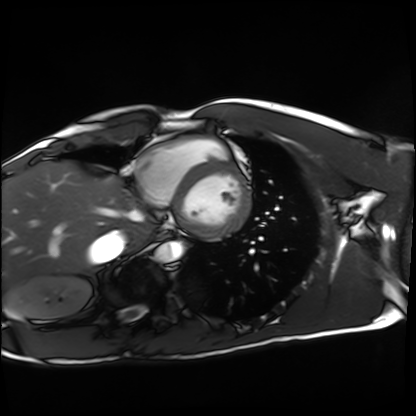
Cardiac MRI.
Subject group: healthy volunteer.